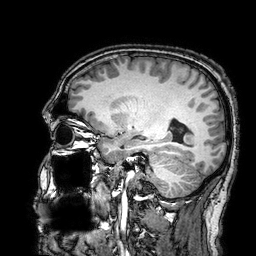
3 Tesla brain MRI.
Study: ring-enhancing brain masses.